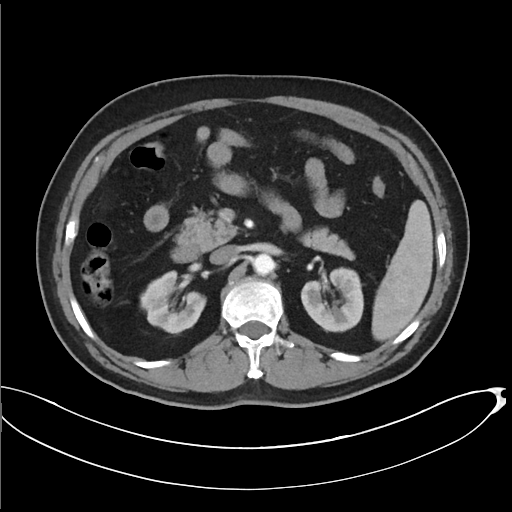
* modality: multiphase abdominal CT, liver, arterial phase
* patient: male, age 67
* history: cirrhosis, viral hepatitis